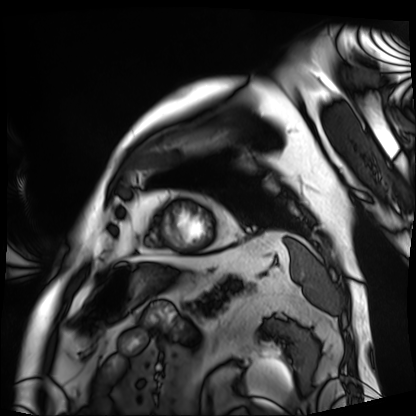
Cardiac MRI.
Subject group: patient.